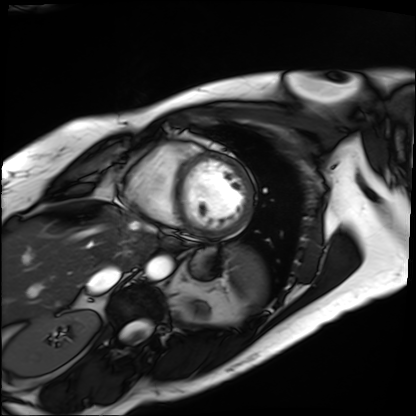
Cardiac MRI. Subject group: patient.